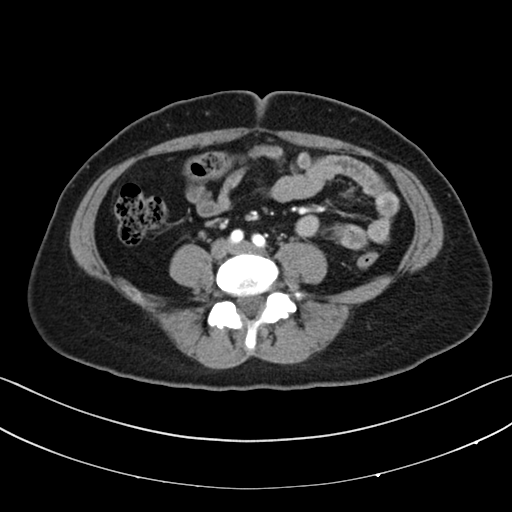
{"modality": {"type": "multiphase abdominal CT", "region": "liver", "phase": "arterial"}, "patient": {"sex": "female", "age": 39}}